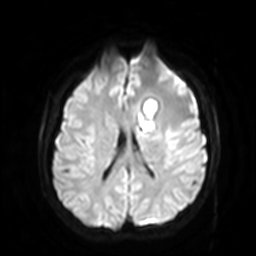
modality: 3 Tesla brain MRI | series: diffusion-weighted imaging with SENSE (WIP) | study: ring-enhancing brain masses.